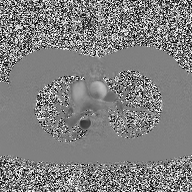
modality = 2D phase-contrast cine MRI of the ascending aorta.